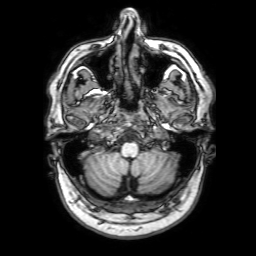
– modality: 3 Tesla brain MRI
– series: 3D T1-weighted with SENSE
– study: ring-enhancing brain masses